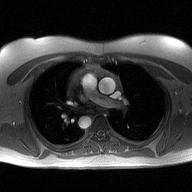
modality — 2D phase-contrast cine MRI of the ascending aorta